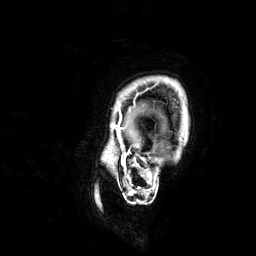
modality: 3 Tesla brain MRI; series: 3D T1-weighted; study: ring-enhancing brain masses.